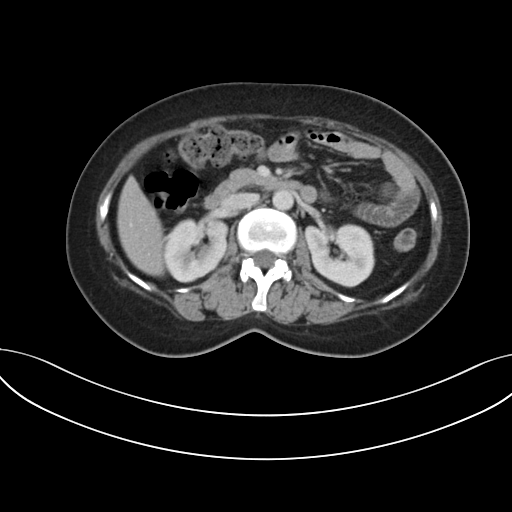
Summary:
Multiphase abdominal CT, liver, portal venous phase. Patient: female, age 41.